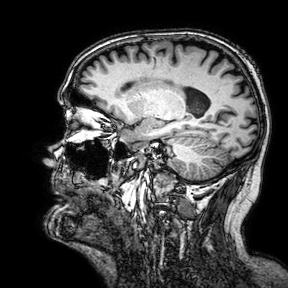
3 Tesla brain MRI. Series: 3D T1-weighted turbo field echo with SENSE. Study: ring-enhancing brain masses.